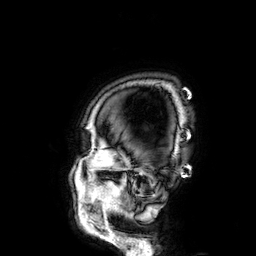
3 Tesla brain MRI.
Series: 3D T1-weighted.
Study: ring-enhancing brain masses.